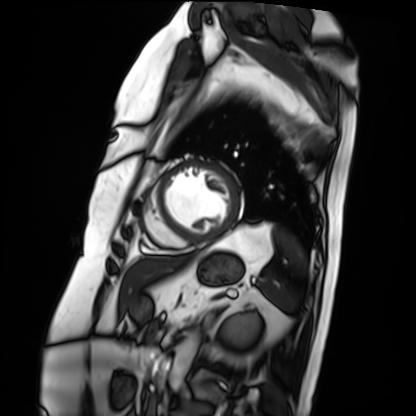
modality = cardiac MRI | subject group = patient.